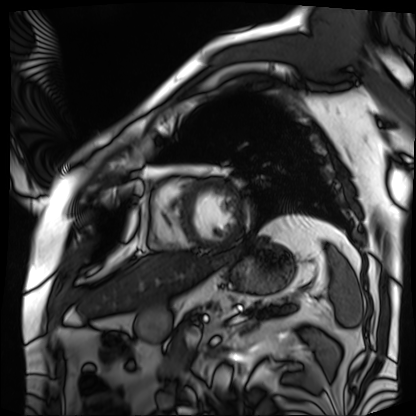
modality: cardiac MRI, subject group: patient.